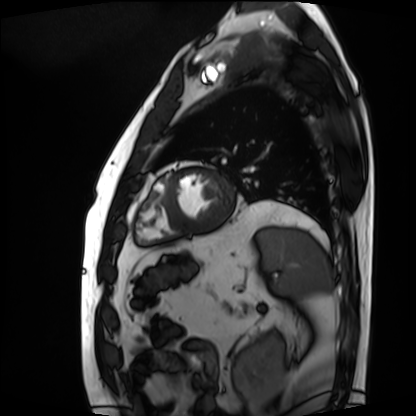
<case>
  <modality>cardiac MRI</modality>
  <cohort>patient</cohort>
</case>